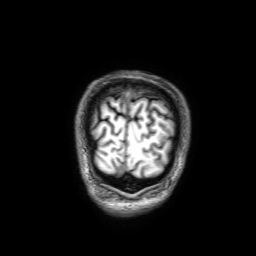
Clinical context:
3 Tesla brain MRI. Series: 3D T1-weighted with SENSE. Study: ring-enhancing brain masses.